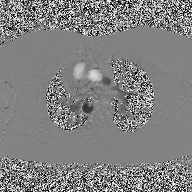
Summary: 2D phase-contrast cine MRI of the ascending aorta, high-resolution GRAPPA acquisition.